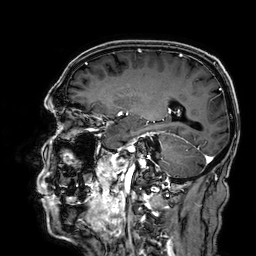
| field | value |
|---|---|
| modality | 3 Tesla brain MRI |
| series | 3D T1-weighted |
| study | ring-enhancing brain masses |